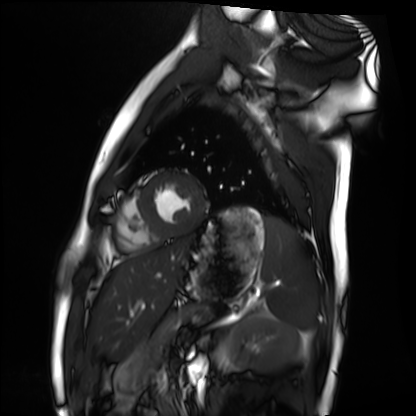
Case summary: Cardiac MRI. Subject group: healthy volunteer.